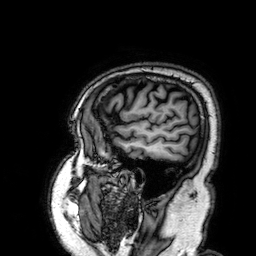
modality = 3 Tesla brain MRI; series = 3D T1-weighted; study = ring-enhancing brain masses.